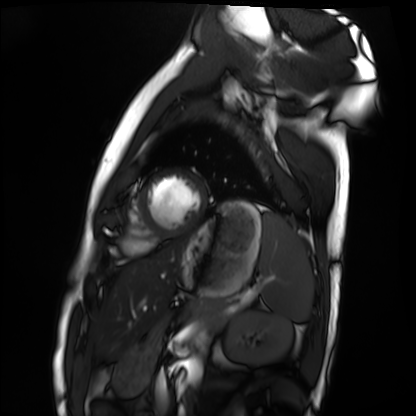
* modality — cardiac MRI
* subject group — healthy volunteer